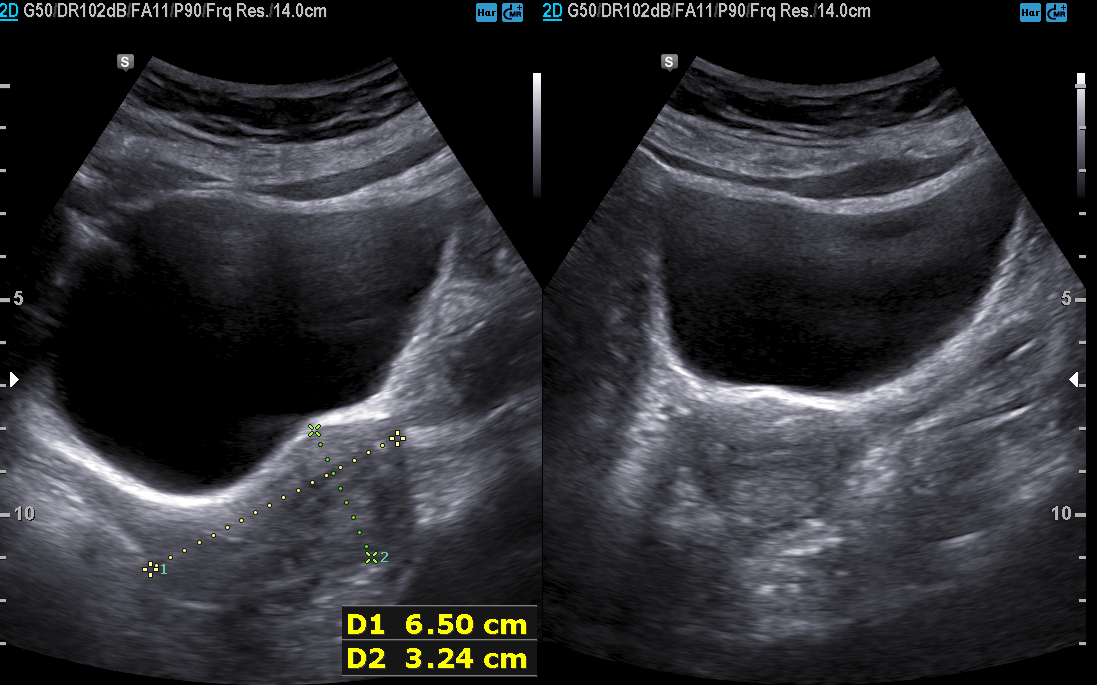
Genitourinary ultrasound.